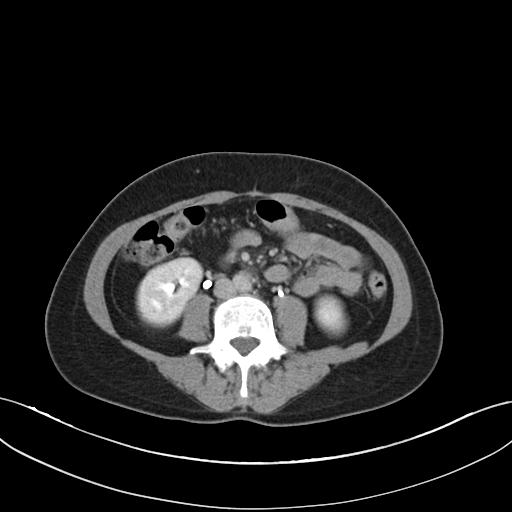
Summary:
Multiphase abdominal CT, liver, delayed phase. Patient: female, age 49.